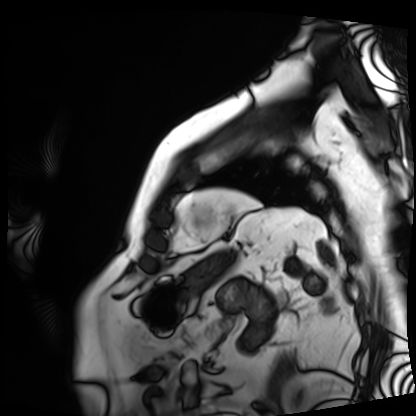
Clinical context: Cardiac MRI. Subject group: patient.